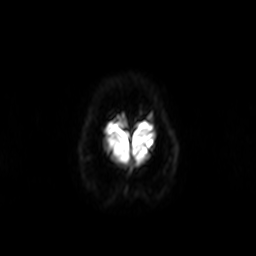
3 Tesla brain MRI. Series: diffusion-weighted imaging. Study: ring-enhancing brain masses.